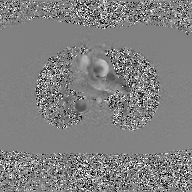
Q: What kind of scan is this?
A: 2D phase-contrast cine MRI of the ascending aorta, GAN super-resolution reconstruction.